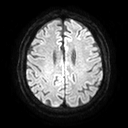
modality = 3 Tesla brain MRI; series = diffusion tensor imaging (medium iso); study = ring-enhancing brain masses.